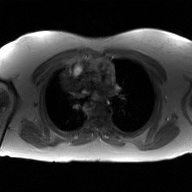
modality: 2D phase-contrast cine MRI of the ascending aorta, GAN super-resolution reconstruction.